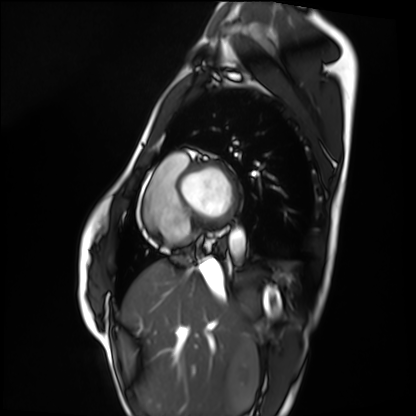
Cardiac MRI.
Subject group: healthy volunteer.